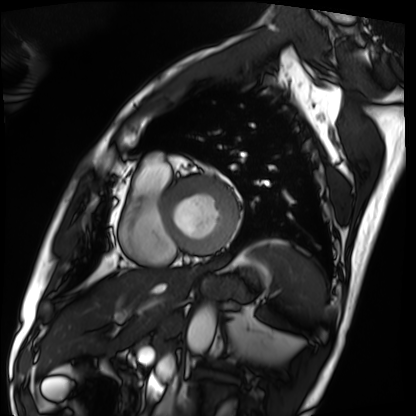
Summary:
Cardiac MRI. Subject group: patient.